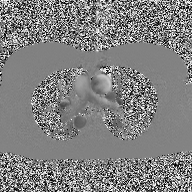
Q: What kind of scan is this?
A: 2D phase-contrast cine MRI of the ascending aorta.